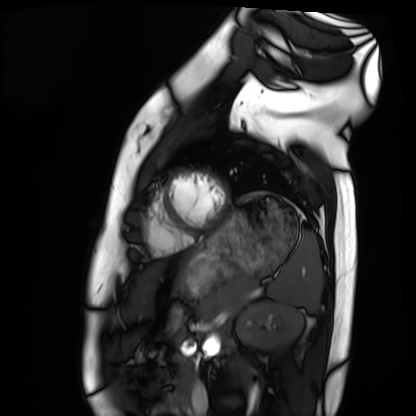
modality: cardiac MRI
cohort: healthy volunteer